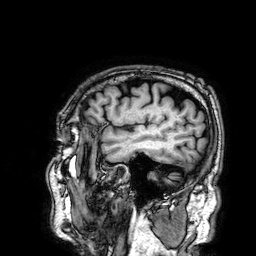
| field | value |
|---|---|
| modality | 3 Tesla brain MRI |
| series | 3D T1-weighted |
| study | ring-enhancing brain masses |